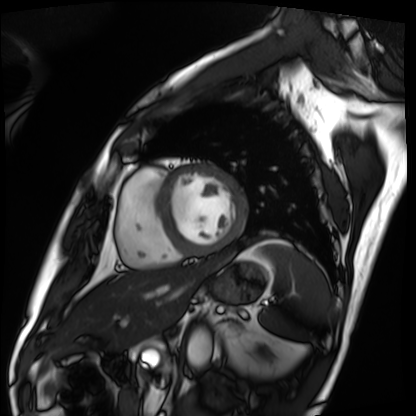
Clinical context: Cardiac MRI. Subject group: patient.